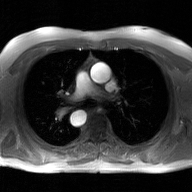
2D phase-contrast cine MRI of the ascending aorta, GAN super-resolution reconstruction.